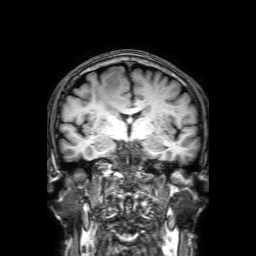
3 Tesla brain MRI. Study: ring-enhancing brain masses.